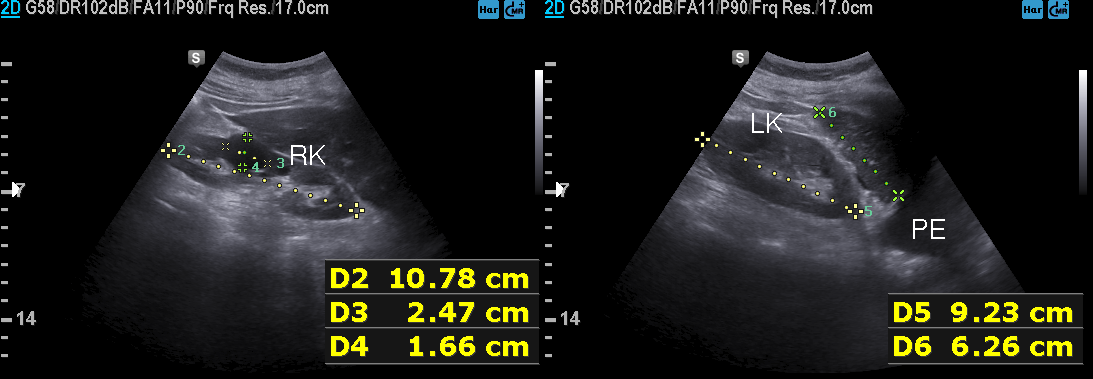
modality = genitourinary ultrasound.